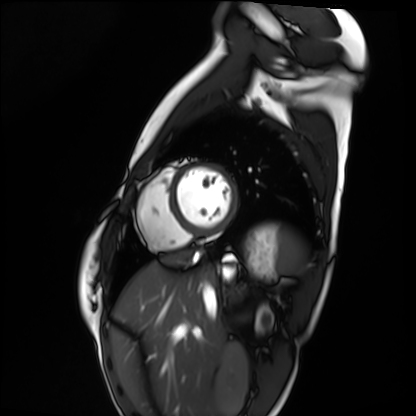
Case summary: Cardiac MRI. Subject group: healthy volunteer.